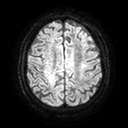
modality: 3 Tesla brain MRI | study: ring-enhancing brain masses.